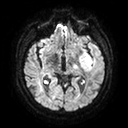
3 Tesla brain MRI. Series: diffusion tensor imaging (medium iso). Study: ring-enhancing brain masses.